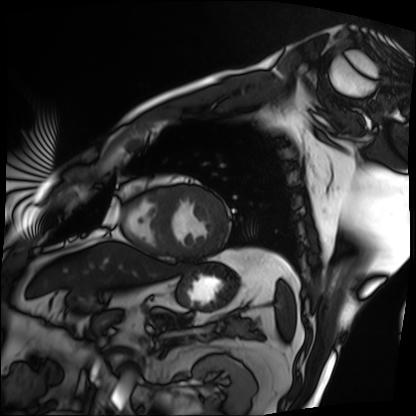
Cardiac MRI.
Subject group: patient.